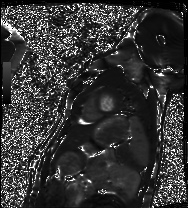
Summary:
Cardiac MRI. Subject group: healthy volunteer.